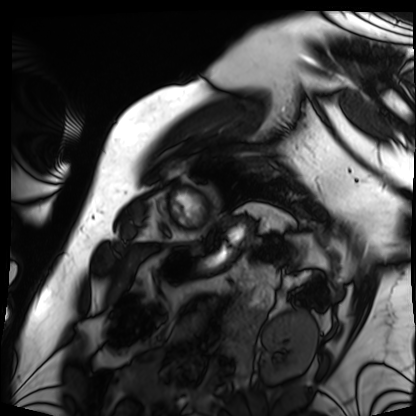
Clinical context:
Cardiac MRI. Subject group: patient.